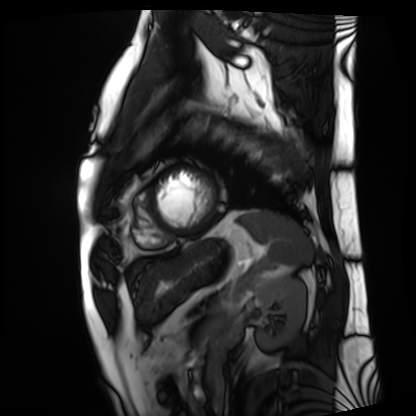
• modality · cardiac MRI
• subject group · patient